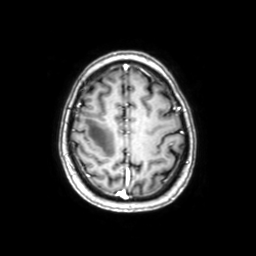
Summary:
3 Tesla brain MRI. Series: axial with contrast. Study: ring-enhancing brain masses.